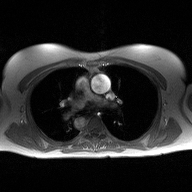
2D phase-contrast cine MRI of the ascending aorta, high-resolution GRAPPA acquisition.